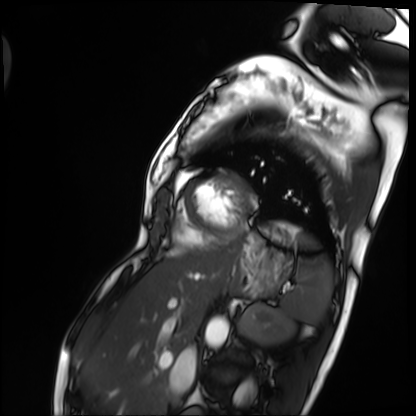
Cardiac MRI.
Subject group: patient.